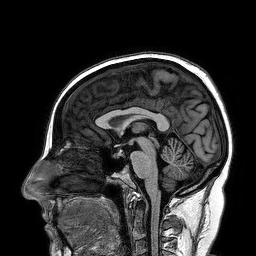
modality: 3 Tesla brain MRI; series: 3D T1-weighted turbo field echo; study: ring-enhancing brain masses.